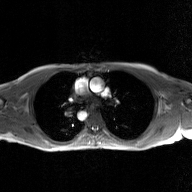
Summary: 2D phase-contrast cine MRI of the ascending aorta, GAN super-resolution reconstruction.